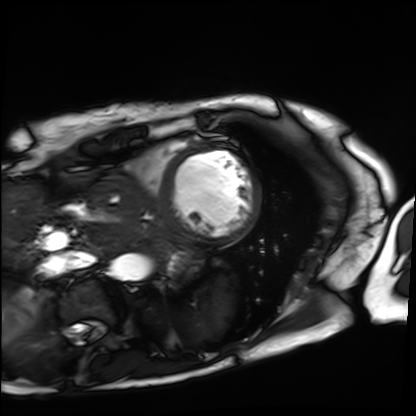
<study>
<modality>cardiac MRI</modality>
<cohort>patient</cohort>
</study>